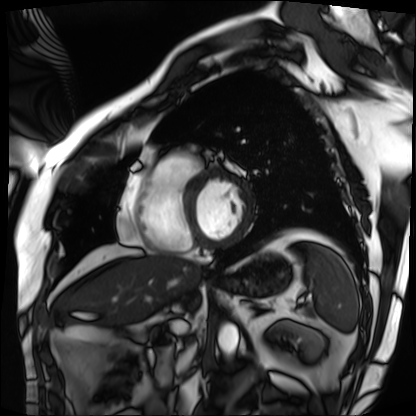
Cardiac MRI. Subject group: patient.